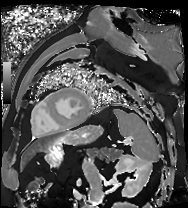
Summary: Cardiac MR image of the myocardium. Subject cohort: cardiac patient.